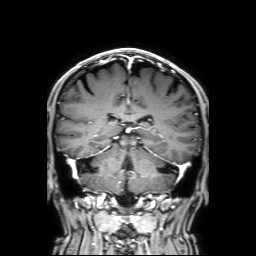
3 Tesla brain MRI. Series: 3D T1-weighted with SENSE. Study: ring-enhancing brain masses.